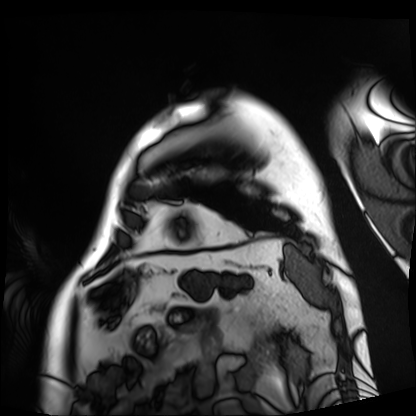
modality = cardiac MRI
subject group = patient